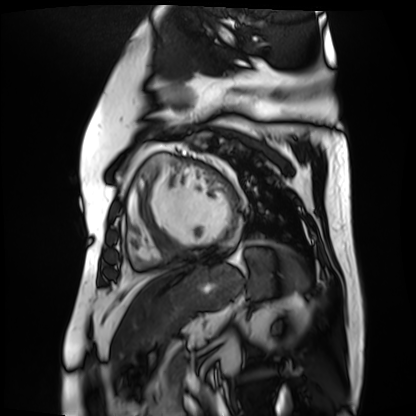
Case:
• modality: cardiac MR image of the myocardium
• subject cohort: cardiac patient